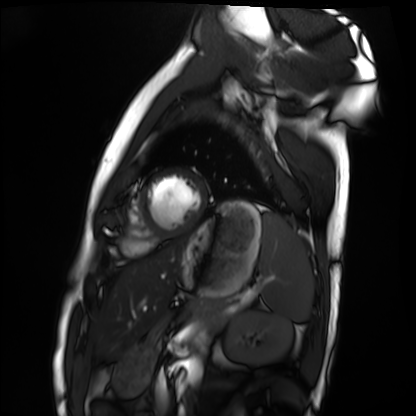
Cardiac MRI.
Subject group: healthy volunteer.